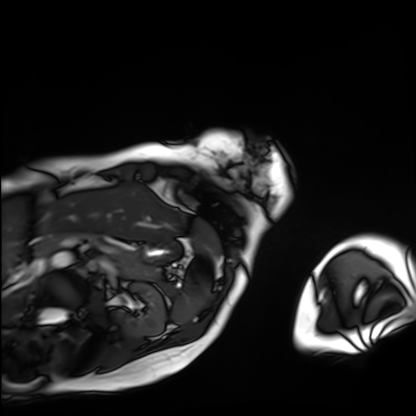
Cardiac MRI.
Subject group: patient.